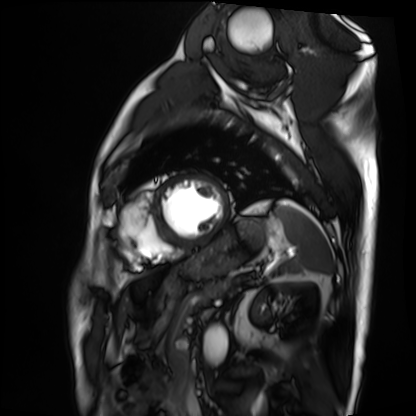
Cardiac MRI.
Subject group: patient.